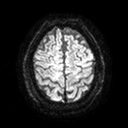
  modality:
    type: brain MRI
    field_strength: 3T
  series: diffusion tensor imaging (medium iso)
  study_topic: ring-enhancing brain masses